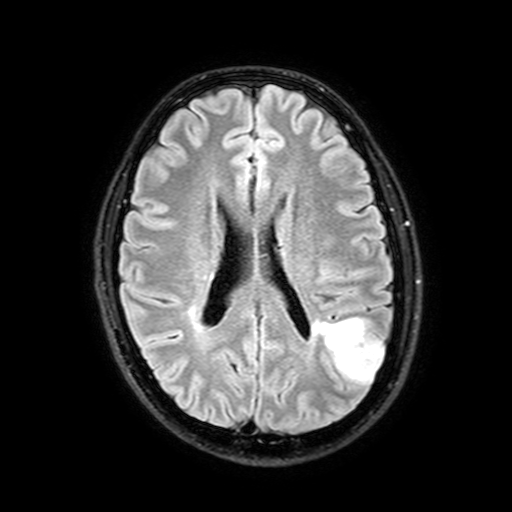
Case:
* modality — 3 Tesla brain MRI
* series — FLAIR with SPAIR, 3 mm
* study — ring-enhancing brain masses